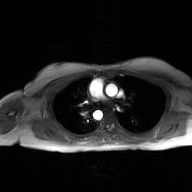
modality = 2D phase-contrast cine MRI of the ascending aorta, GAN super-resolution reconstruction.